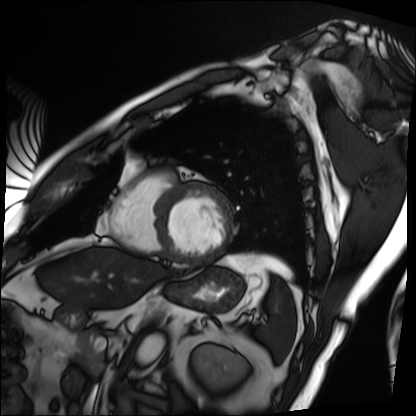
Cardiac MRI. Subject group: patient.